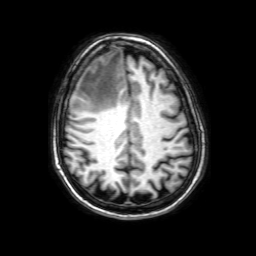
3 Tesla brain MRI. Series: 3D T1-weighted with SENSE. Study: ring-enhancing brain masses.